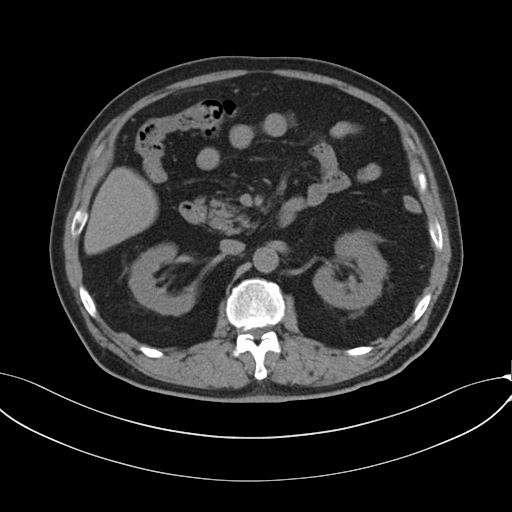
Clinical context:
Multiphase abdominal CT, liver, non-contrast phase. Patient: male, age 69. History: cirrhosis, viral hepatitis.